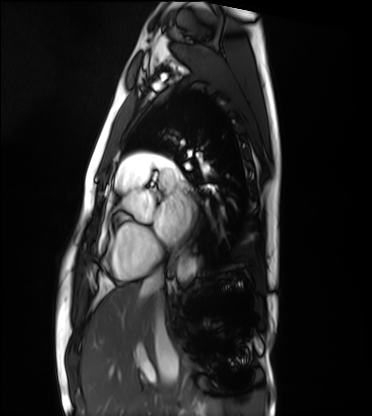
modality: cardiac MRI
cohort: healthy volunteer